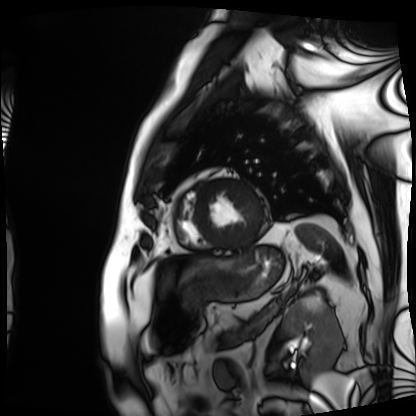
{"modality": "cardiac MRI", "cohort": "patient"}